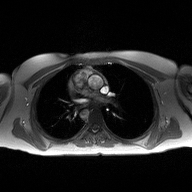
modality = 2D phase-contrast cine MRI of the ascending aorta.